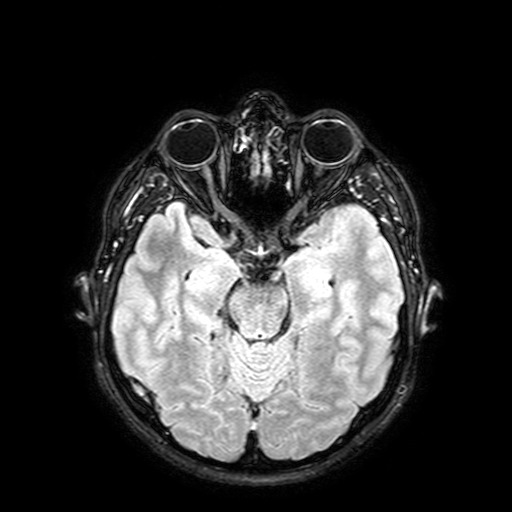
Clinical context:
3 Tesla brain MRI. Series: FLAIR with SPAIR, 3 mm. Study: ring-enhancing brain masses.